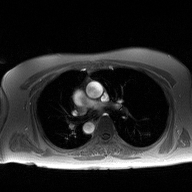
| field | value |
|---|---|
| modality | 2D phase-contrast cine MRI of the ascending aorta |